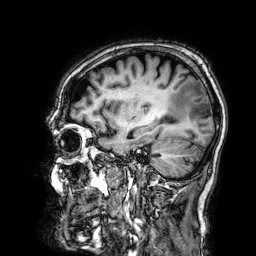
3 Tesla brain MRI. Series: 3D T1-weighted. Study: ring-enhancing brain masses.